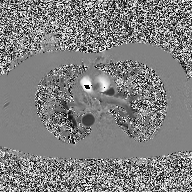
2D phase-contrast cine MRI of the ascending aorta, high-resolution GRAPPA acquisition.